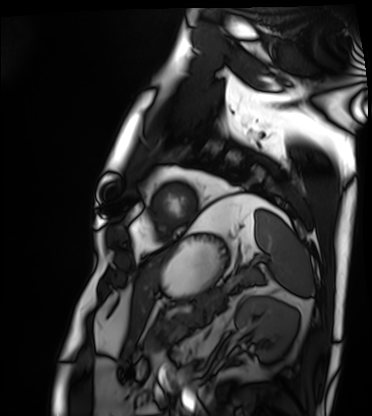
Q: What kind of scan is this?
A: Cardiac MRI.
Subject group: patient.